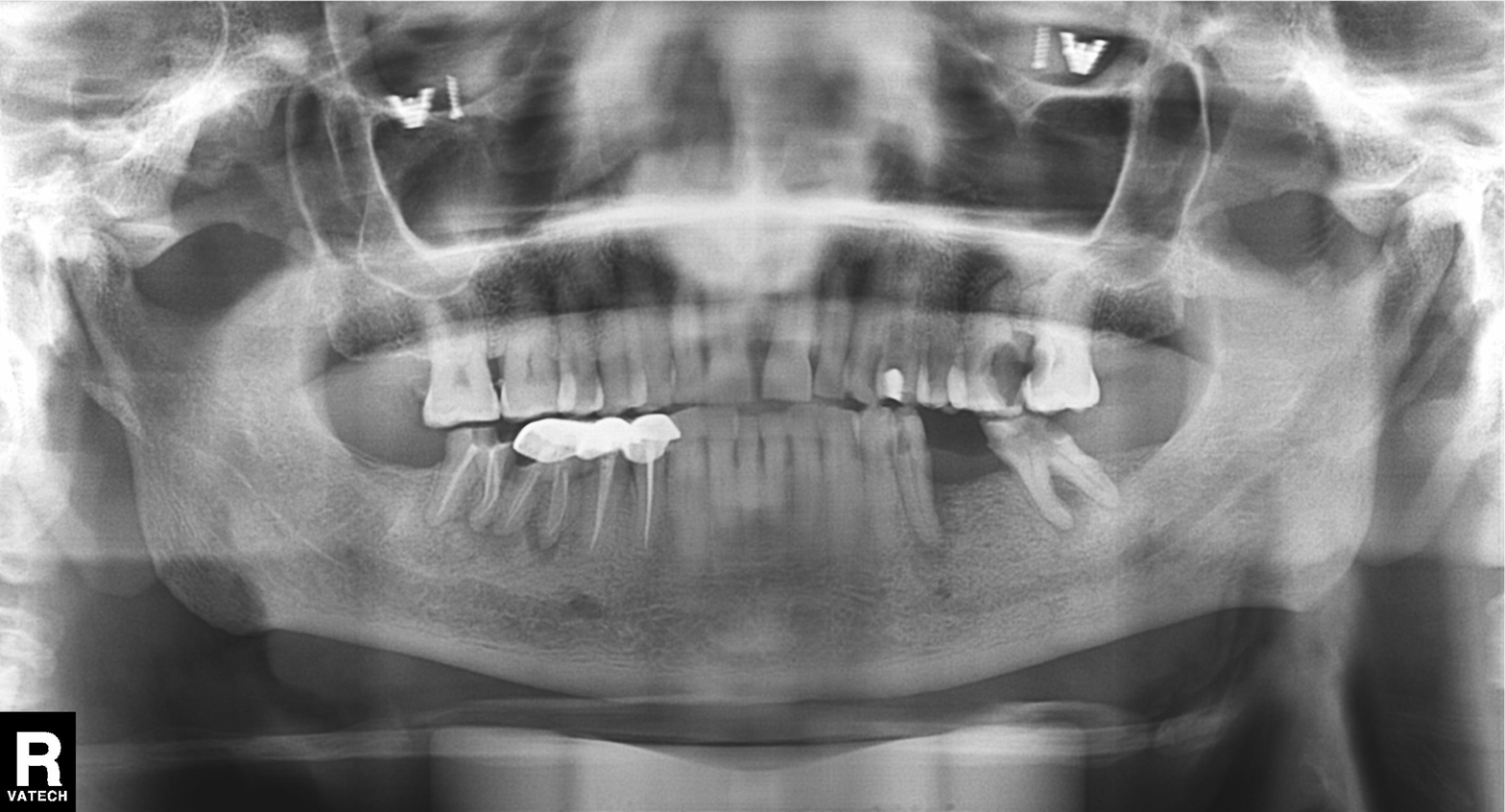
Case:
- modality: panoramic dental radiograph (orthopantomogram)
- finding: dental caries (cavities)